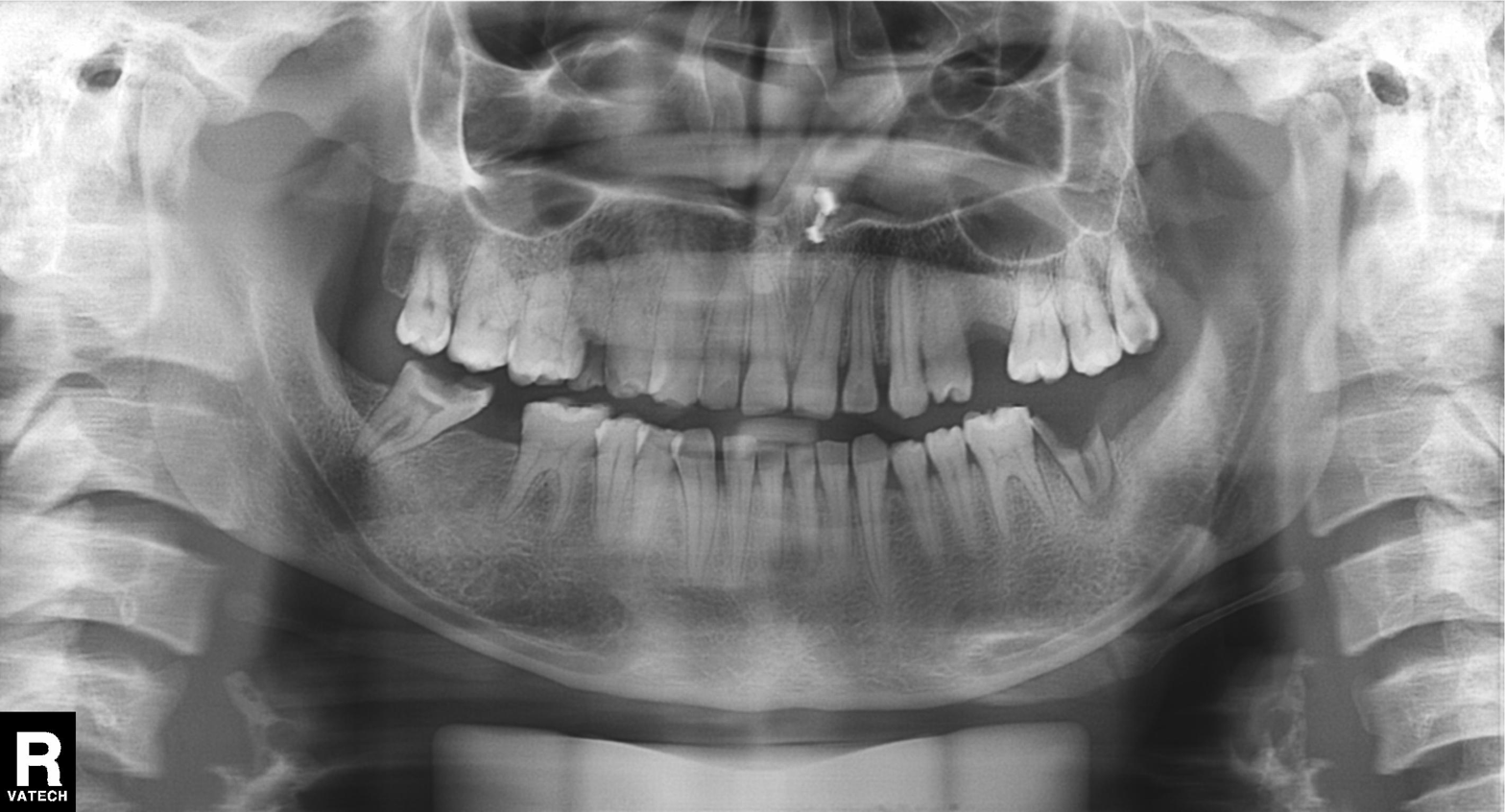
Findings:
* modality: panoramic dental radiograph (orthopantomogram)
* finding: alveolar bone loss